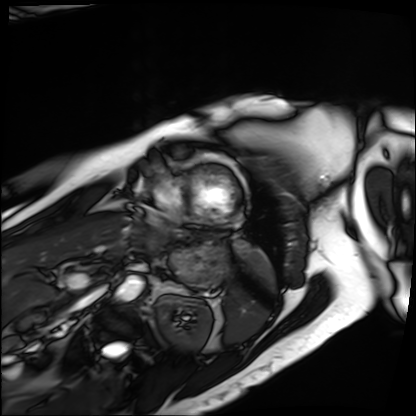
Cardiac MRI. Subject group: patient.